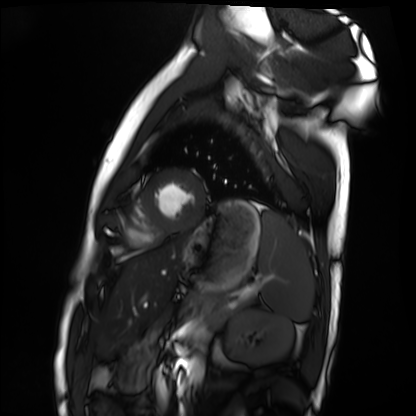
• modality: cardiac MRI
• subject group: healthy volunteer